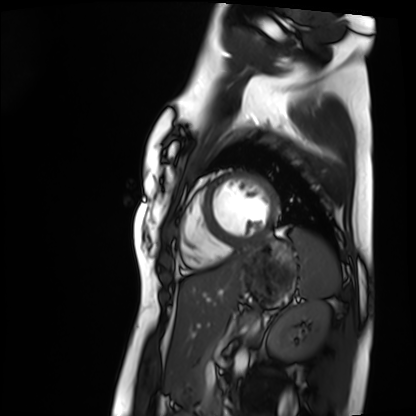
Case summary:
Cardiac MRI. Subject group: healthy volunteer.